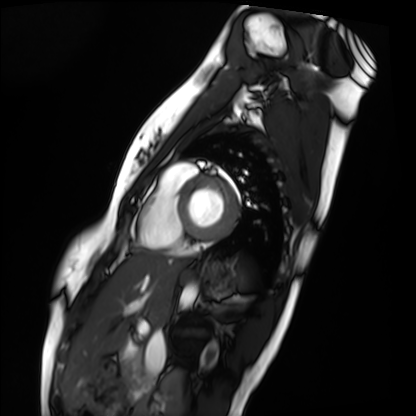
Q: What kind of scan is this?
A: Cardiac MRI.
Subject group: healthy volunteer.